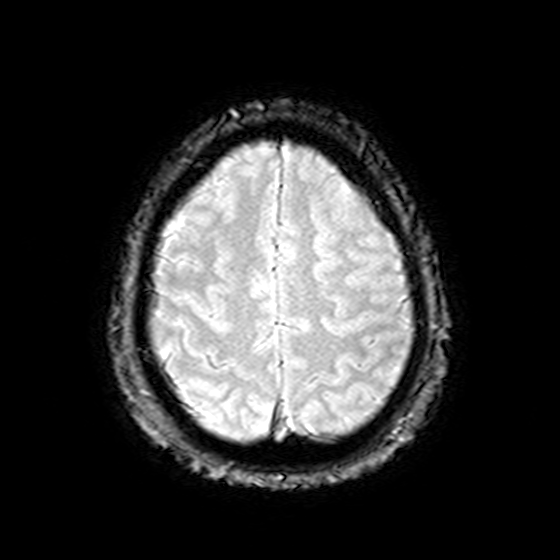
- modality: 3 Tesla brain MRI
- series: T2-weighted fast field echo
- study: ring-enhancing brain masses